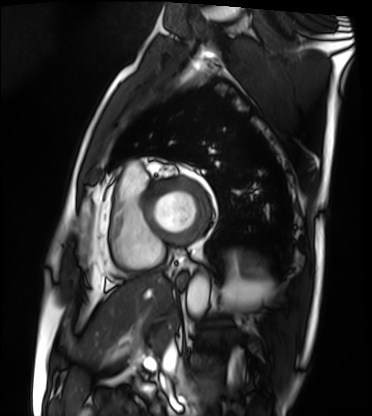
Cardiac MRI.
Subject group: patient.